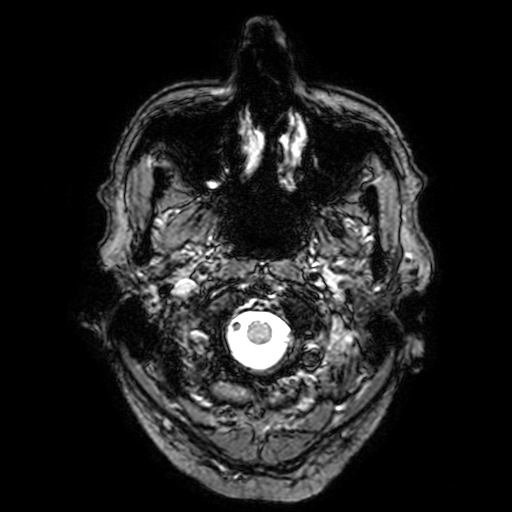
Q: What kind of scan is this?
A: 3 Tesla brain MRI.
Q: Series?
A: T2-weighted fast field echo with SENSE.
Study: ring-enhancing brain masses.